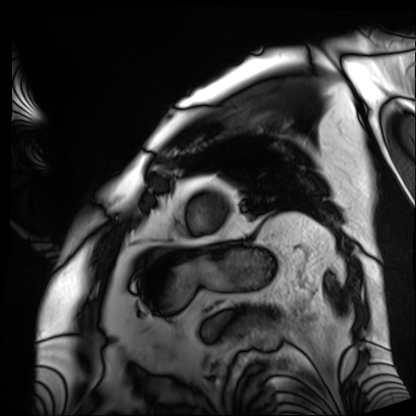
Cardiac MRI.
Subject group: patient.